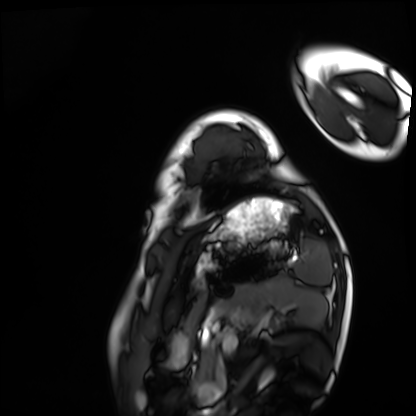
– modality: cardiac MRI
– subject group: healthy volunteer